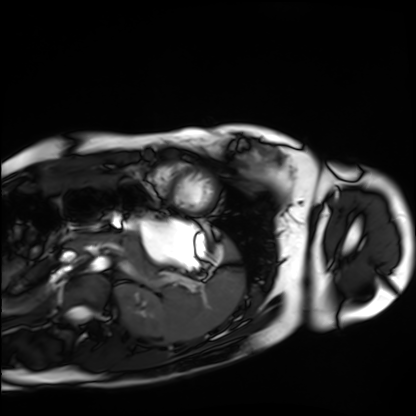
Cardiac MRI. Subject group: healthy volunteer.